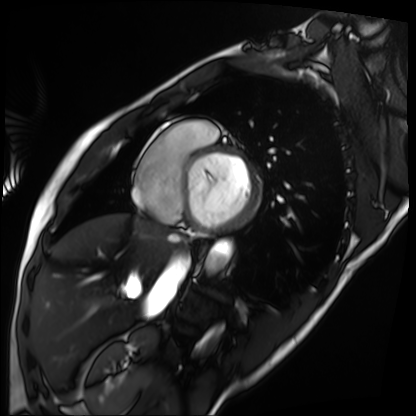
Q: What kind of scan is this?
A: Cardiac MRI.
Subject group: patient.